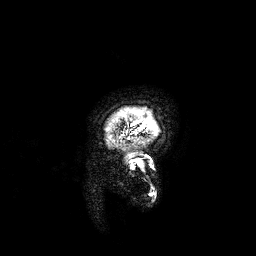
– modality — 3 Tesla brain MRI
– series — 3D T1-weighted
– study — ring-enhancing brain masses